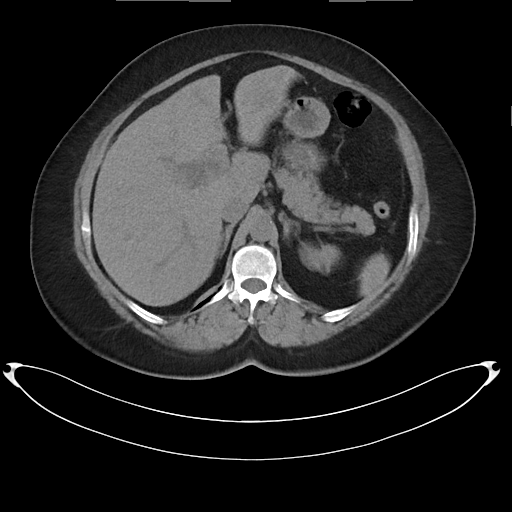
- modality: multiphase abdominal CT, liver, non-contrast phase
- patient: female, age 59